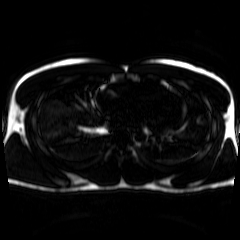
modality = chemical-shift-encoded cardiac MRI.